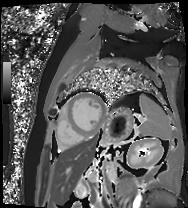
<case>
<modality>cardiac MR image of the myocardium</modality>
<cohort>cardiac patient</cohort>
</case>